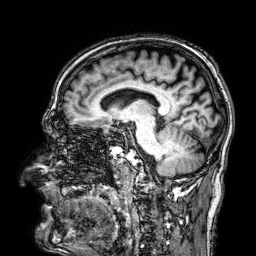
3 Tesla brain MRI. Series: 3D T1-weighted. Study: ring-enhancing brain masses.